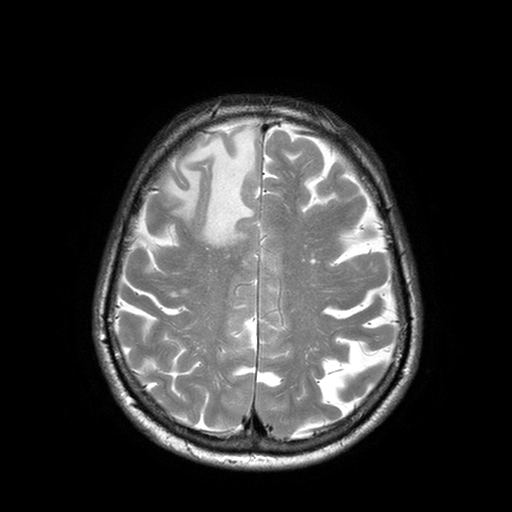
3 Tesla brain MRI. Study: ring-enhancing brain masses.